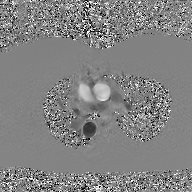
Summary:
2D phase-contrast cine MRI of the ascending aorta, GAN super-resolution reconstruction.